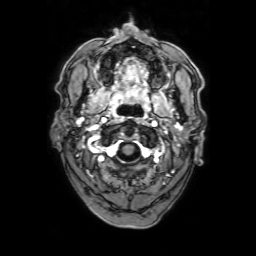
Summary:
3 Tesla brain MRI. Series: 3D T1-weighted with SENSE. Study: ring-enhancing brain masses.